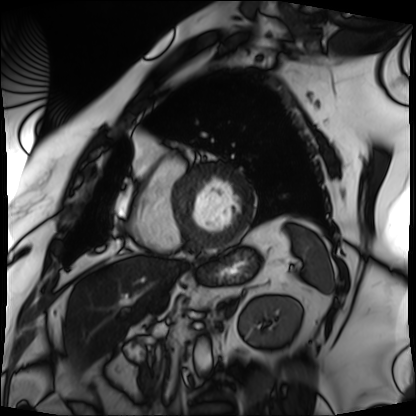
Case:
– modality — cardiac MRI
– subject group — patient